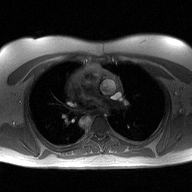
{
  "modality": {
    "type": "2D phase-contrast cine MRI",
    "region": "ascending aorta",
    "reconstruction": "high-resolution GRAPPA acquisition"
  }
}